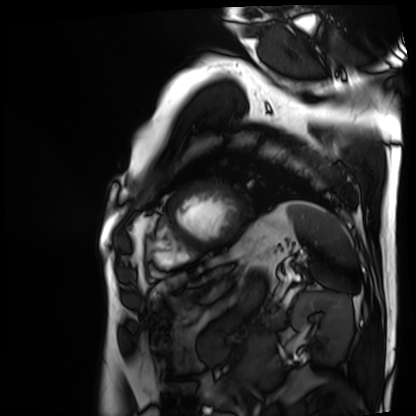
Summary: Cardiac MRI. Subject group: patient.